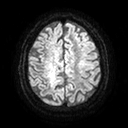
Summary:
3 Tesla brain MRI. Series: diffusion tensor imaging (medium iso). Study: ring-enhancing brain masses.